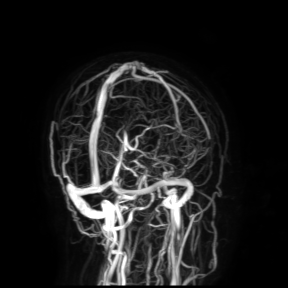
3 Tesla brain MRI. Study: ring-enhancing brain masses.